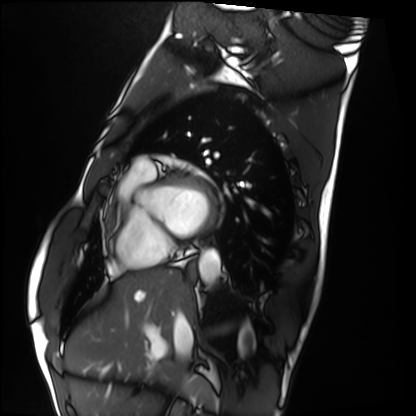
{"modality": "cardiac MRI", "cohort": "healthy volunteer"}